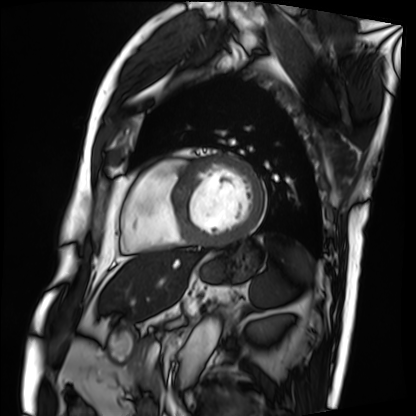
Q: What kind of scan is this?
A: Cardiac MRI.
Subject group: patient.